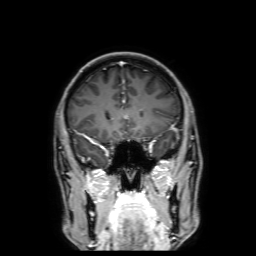
3 Tesla brain MRI.
Series: 3D T1-weighted with SENSE.
Study: ring-enhancing brain masses.